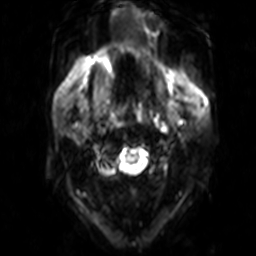
Q: What kind of scan is this?
A: 3 Tesla brain MRI.
Q: Series?
A: Diffusion-weighted imaging.
Study: ring-enhancing brain masses.